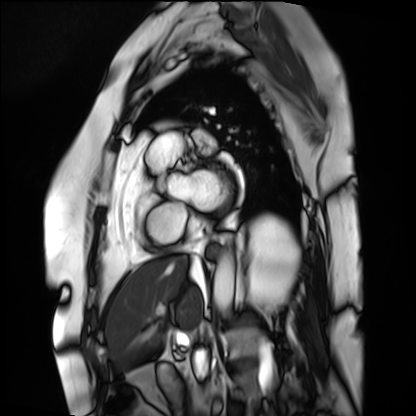
modality: cardiac MRI | subject group: patient.